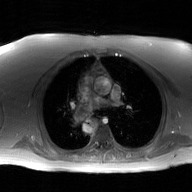
2D phase-contrast cine MRI of the ascending aorta, GAN super-resolution reconstruction.